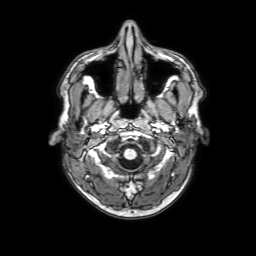
Case summary: 3 Tesla brain MRI. Series: 3D T1-weighted with SENSE. Study: ring-enhancing brain masses.